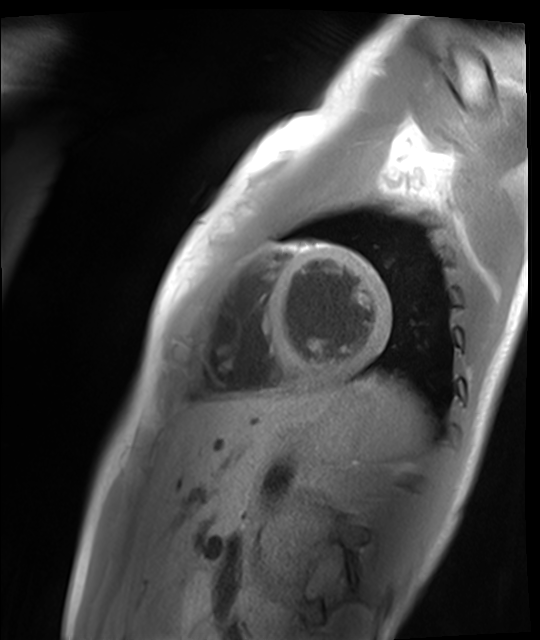
modality: cardiac MR image of the myocardium
cohort: healthy volunteer